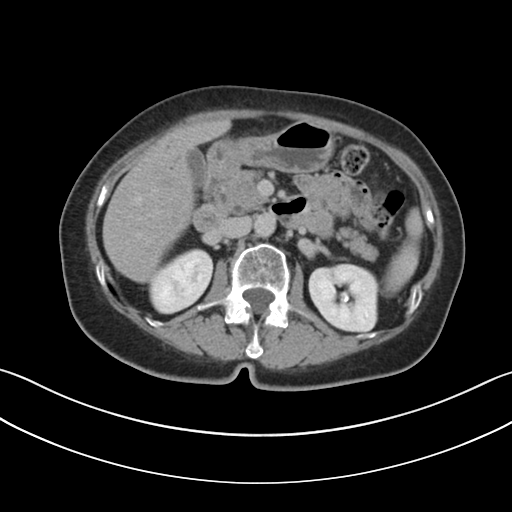
Q: What kind of scan is this?
A: Multiphase abdominal CT, liver, delayed phase.
Q: Patient?
A: Female, age 69.